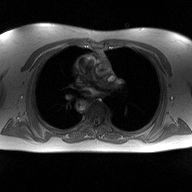
modality=2D phase-contrast cine MRI of the ascending aorta.